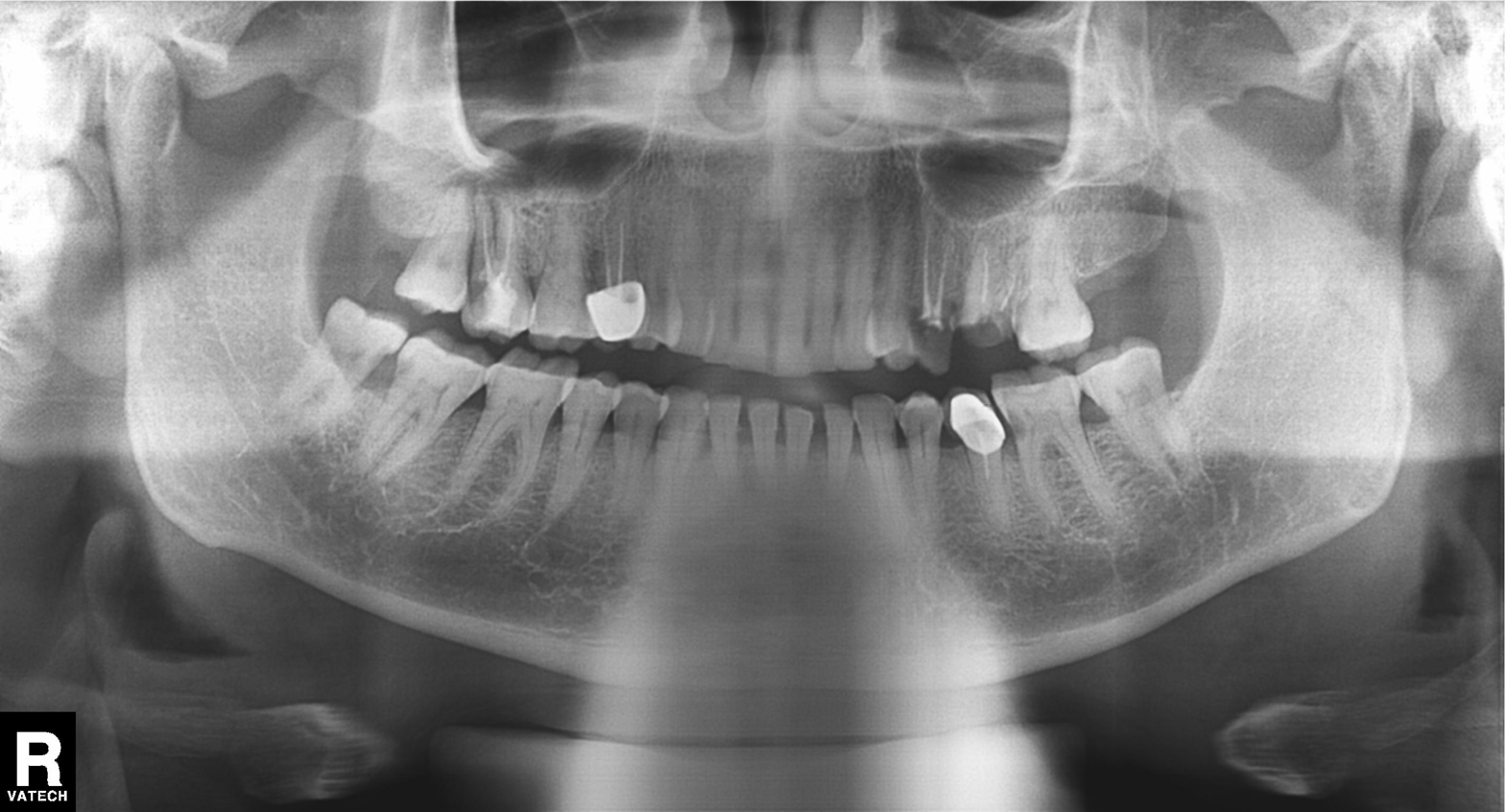
Panoramic dental radiograph (orthopantomogram). Finding: alveolar bone loss.